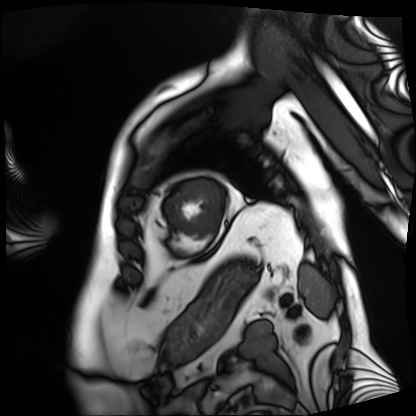
modality = cardiac MRI
subject group = patient